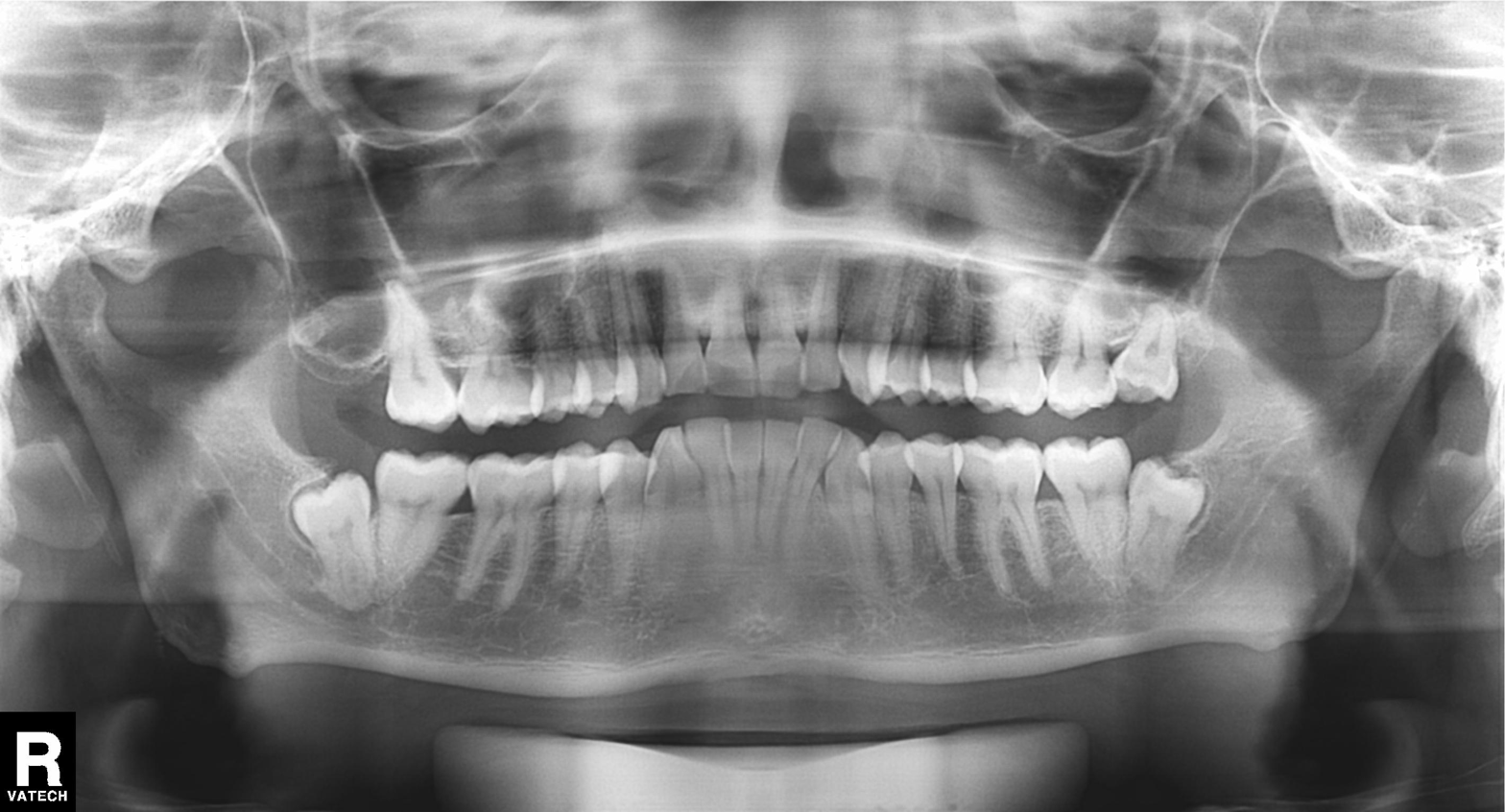
  modality: panoramic dental radiograph (orthopantomogram)
  finding: tooth impaction